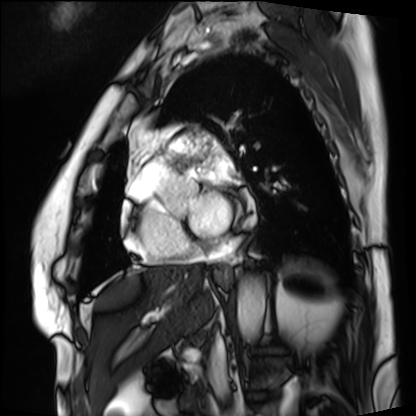
* modality: cardiac MRI
* subject group: patient